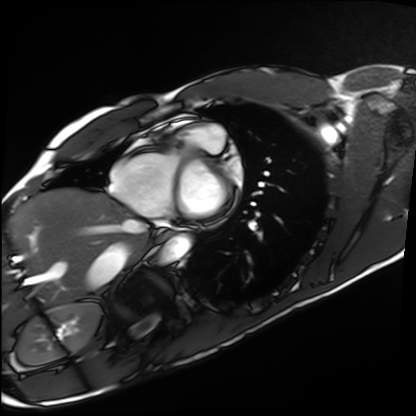
Cardiac MRI.
Subject group: healthy volunteer.